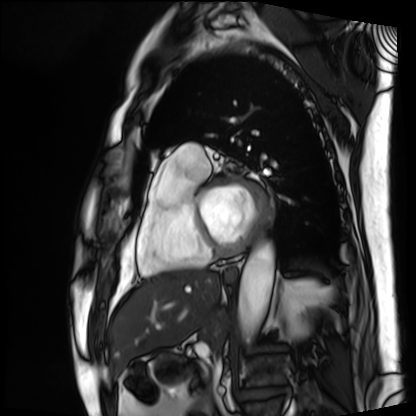
Clinical context: Cardiac MRI. Subject group: patient.